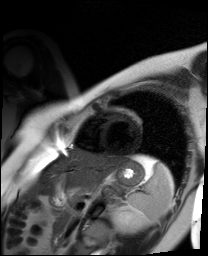
<case>
<modality>cardiac MR image of the myocardium</modality>
<cohort>healthy volunteer</cohort>
</case>